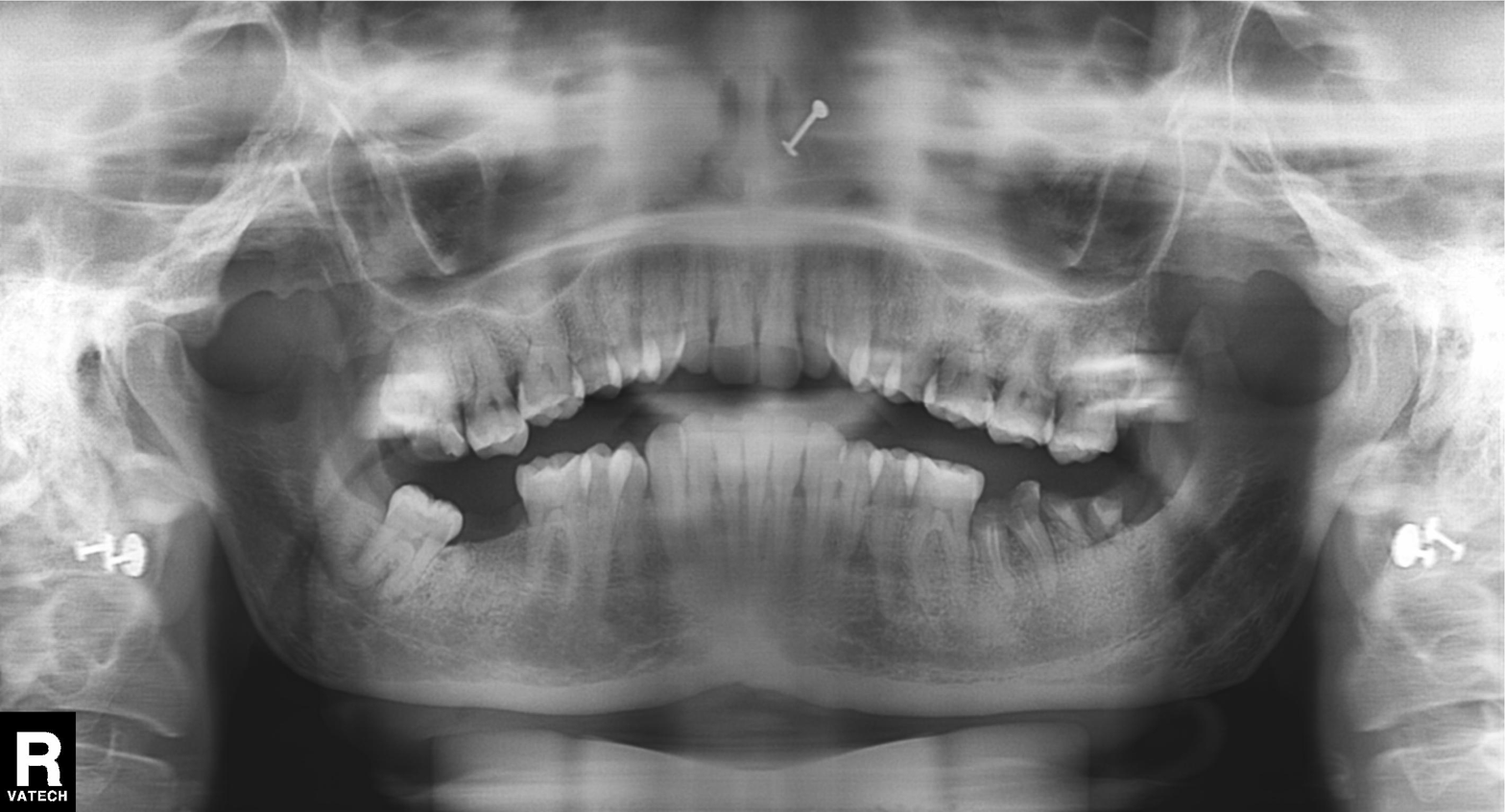
Panoramic dental radiograph (orthopantomogram). Finding: tooth impaction.